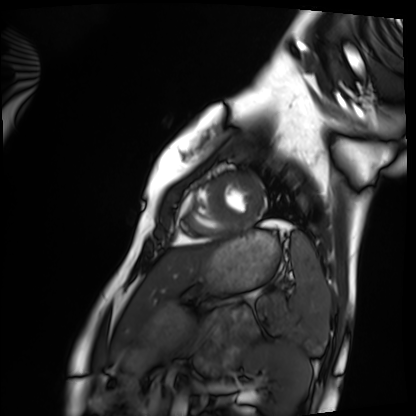
modality: cardiac MRI
cohort: healthy volunteer